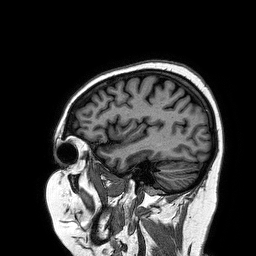
3 Tesla brain MRI. Series: 3D T1-weighted turbo field echo. Study: ring-enhancing brain masses.